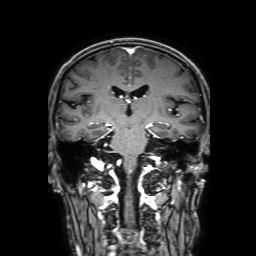
Case summary:
3 Tesla brain MRI. Study: ring-enhancing brain masses.